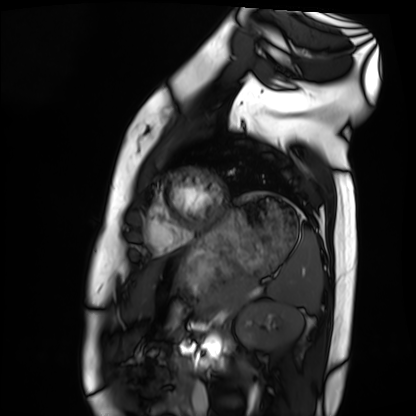
{"modality": "cardiac MRI", "cohort": "healthy volunteer"}